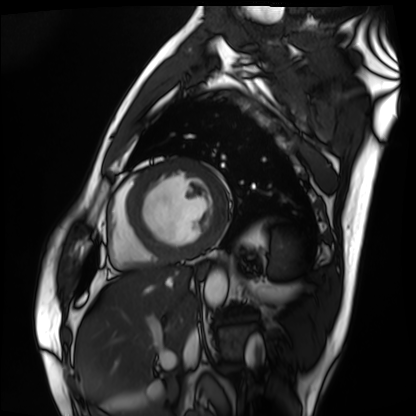
Summary:
Cardiac MRI. Subject group: patient.